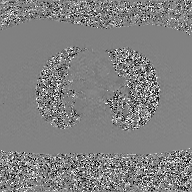
Case:
• modality — 2D phase-contrast cine MRI of the ascending aorta, GAN super-resolution reconstruction